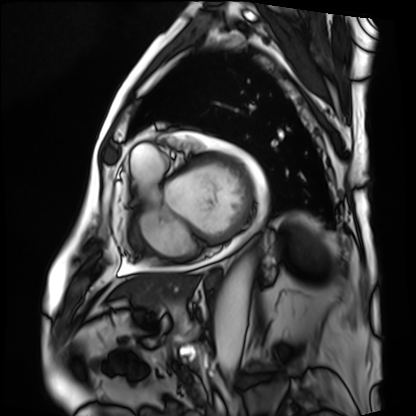
* modality · cardiac MRI
* subject group · patient